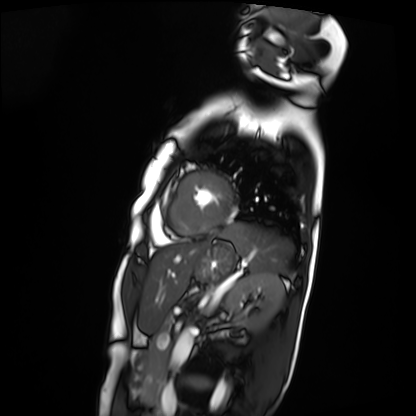
Clinical context: Cardiac MRI. Subject group: patient.